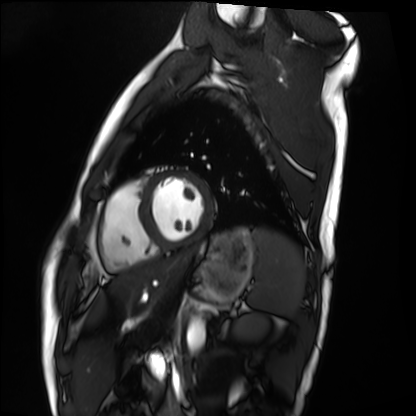
Summary: Cardiac MRI. Subject group: healthy volunteer.